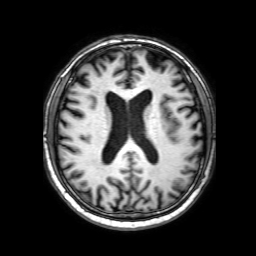
{"modality": {"type": "brain MRI", "field_strength": "3T"}, "series": "3D T1-weighted with SENSE", "study_topic": "ring-enhancing brain masses"}